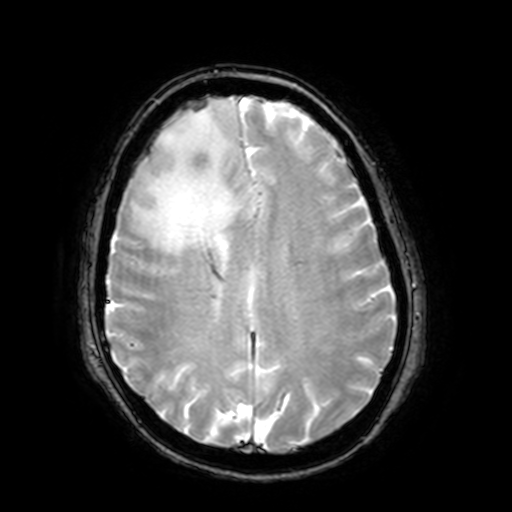
modality:
  type: brain MRI
  field_strength: 3T
series: T2-weighted fast field echo with SENSE
study_topic: ring-enhancing brain masses